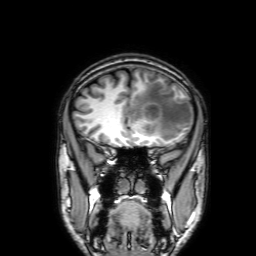
modality = 3 Tesla brain MRI
series = 3D T1-weighted with SENSE
study = ring-enhancing brain masses